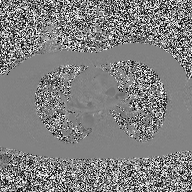
  modality:
    type: 2D phase-contrast cine MRI
    region: ascending aorta
    reconstruction: high-resolution GRAPPA acquisition